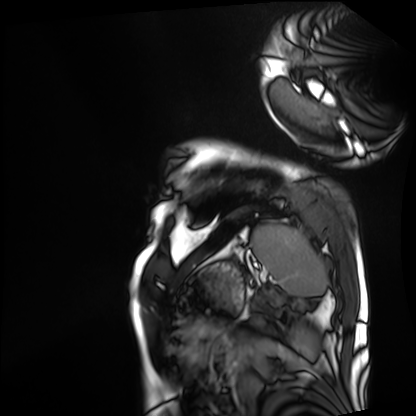
Clinical context:
Cardiac MRI. Subject group: patient.